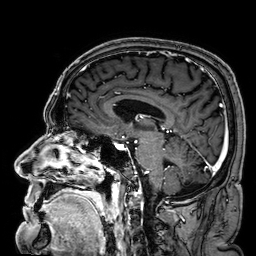
Case:
* modality · 3 Tesla brain MRI
* series · 3D T1-weighted
* study · ring-enhancing brain masses